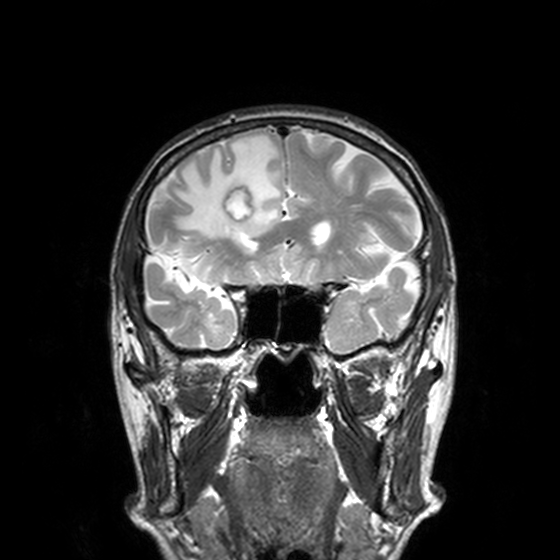
3 Tesla brain MRI. Series: T2-weighted turbo spin echo, 3 mm. Study: ring-enhancing brain masses.